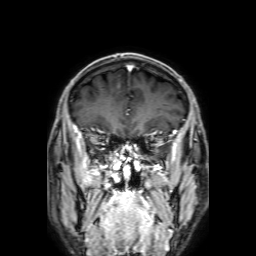
modality: 3 Tesla brain MRI | series: 3D T1-weighted with SENSE | study: ring-enhancing brain masses.